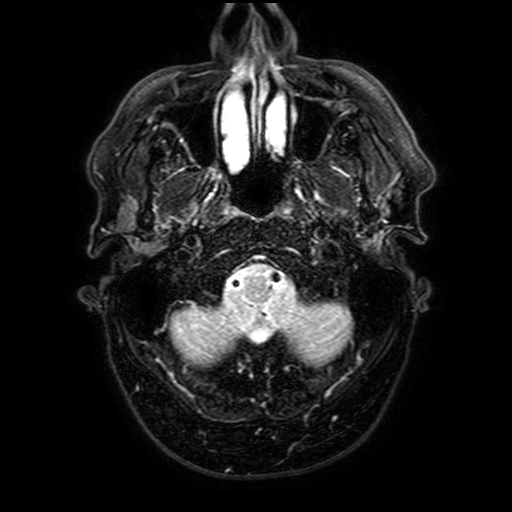
• modality: 3 Tesla brain MRI
• series: FLAIR with SPAIR, 3 mm
• study: ring-enhancing brain masses